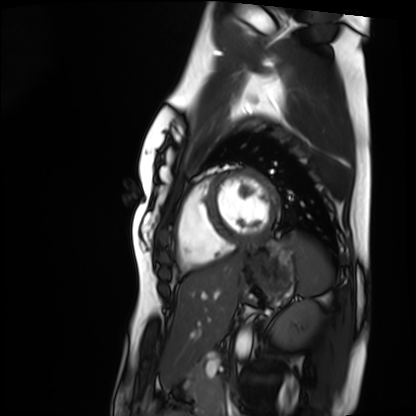
Q: What kind of scan is this?
A: Cardiac MRI.
Subject group: healthy volunteer.